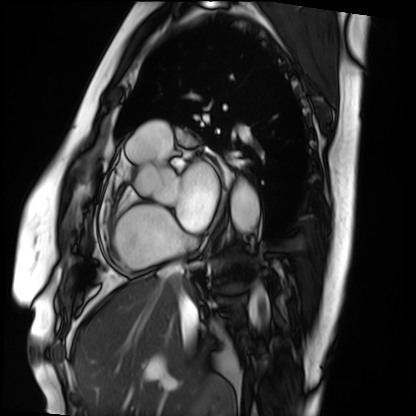
Cardiac MRI. Subject group: patient.